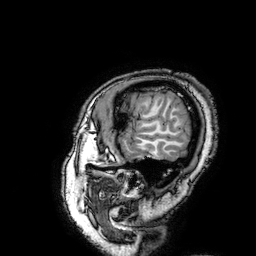
modality = 3 Tesla brain MRI | series = 3D T1-weighted turbo field echo with SENSE | study = ring-enhancing brain masses.